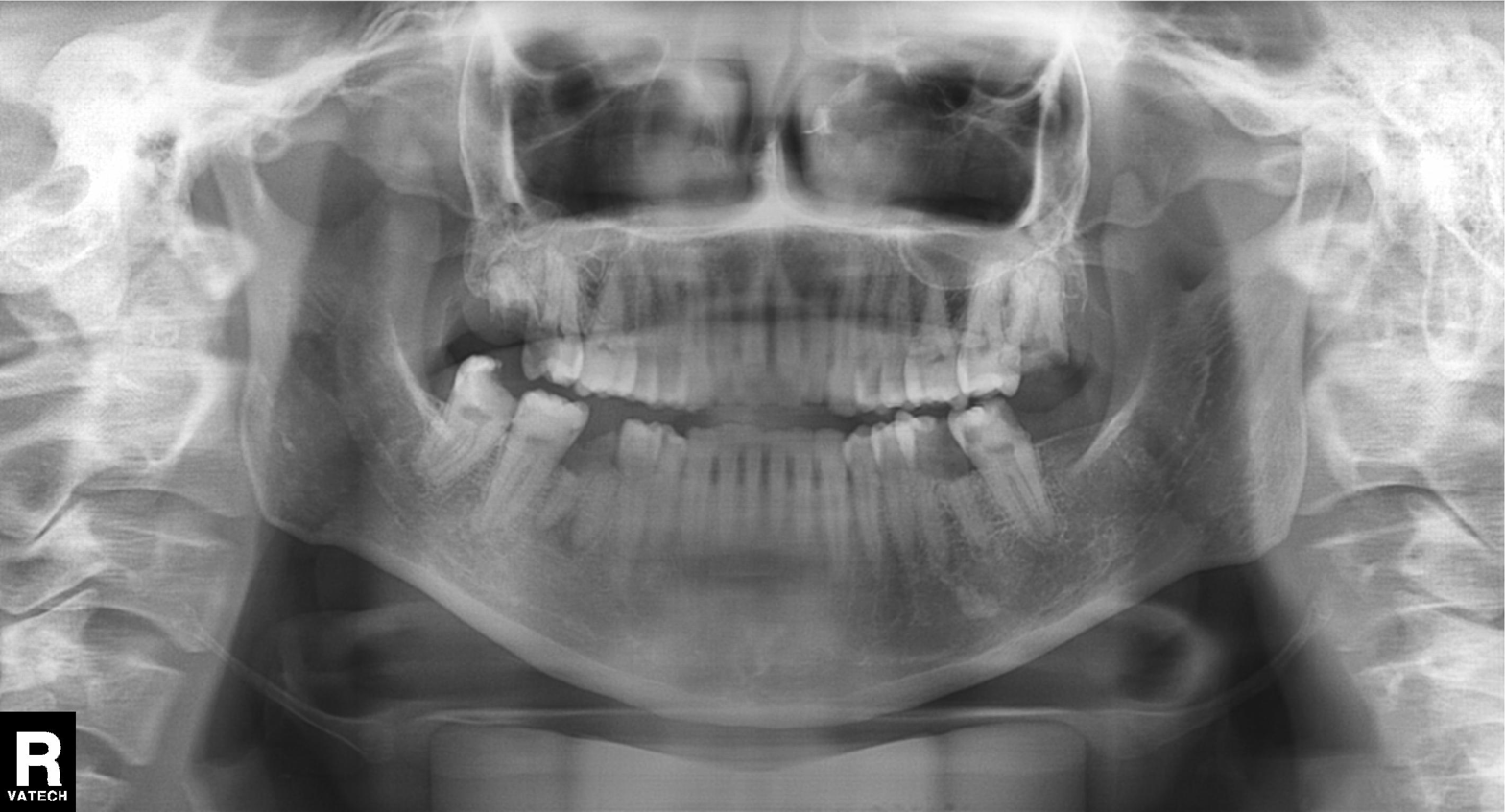
* modality: panoramic dental radiograph (orthopantomogram)
* finding: dental caries (cavities)